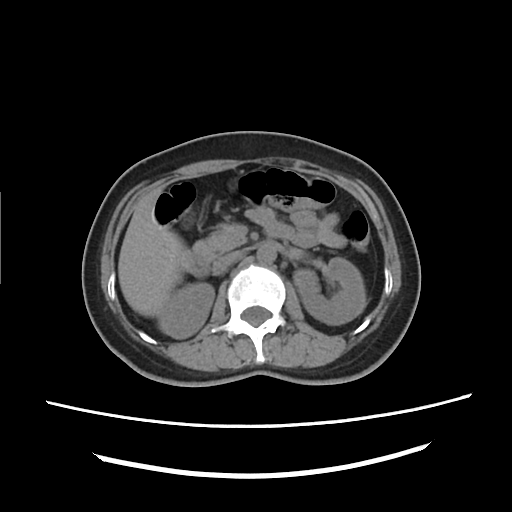
modality = multiphase abdominal CT, liver, non-contrast phase; patient = female, age 46.